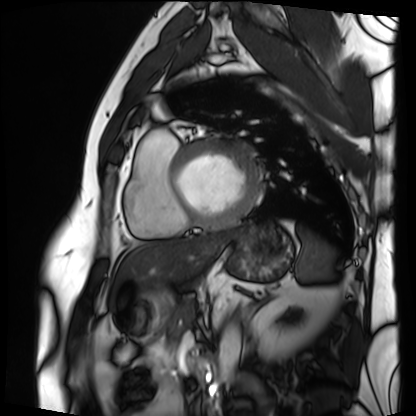
| field | value |
|---|---|
| modality | cardiac MRI |
| subject group | patient |